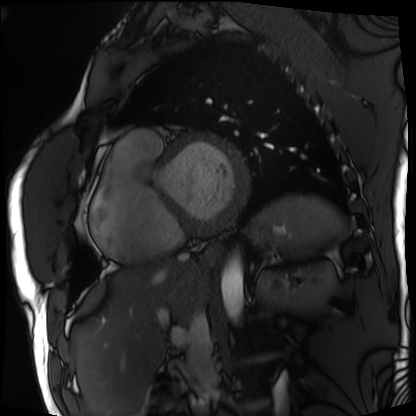
Summary: Cardiac MRI. Subject group: patient.